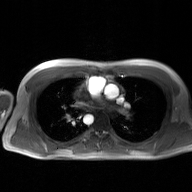
{"modality": {"type": "2D phase-contrast cine MRI", "region": "ascending aorta", "reconstruction": "GAN super-resolution reconstruction"}}